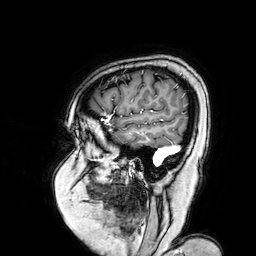
3 Tesla brain MRI. Series: 3D T1-weighted turbo field echo with SENSE. Study: ring-enhancing brain masses.